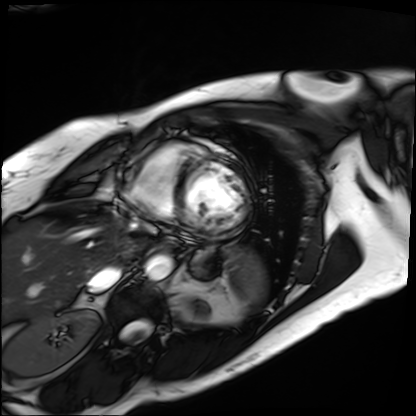
{"modality": "cardiac MRI", "cohort": "patient"}